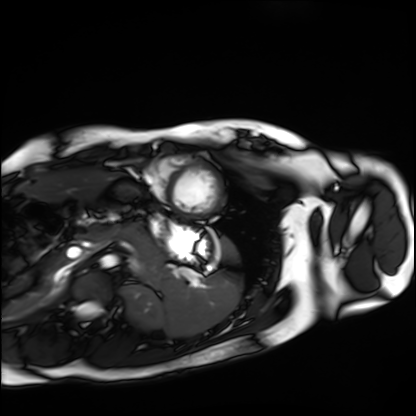
Case:
– modality · cardiac MRI
– subject group · healthy volunteer